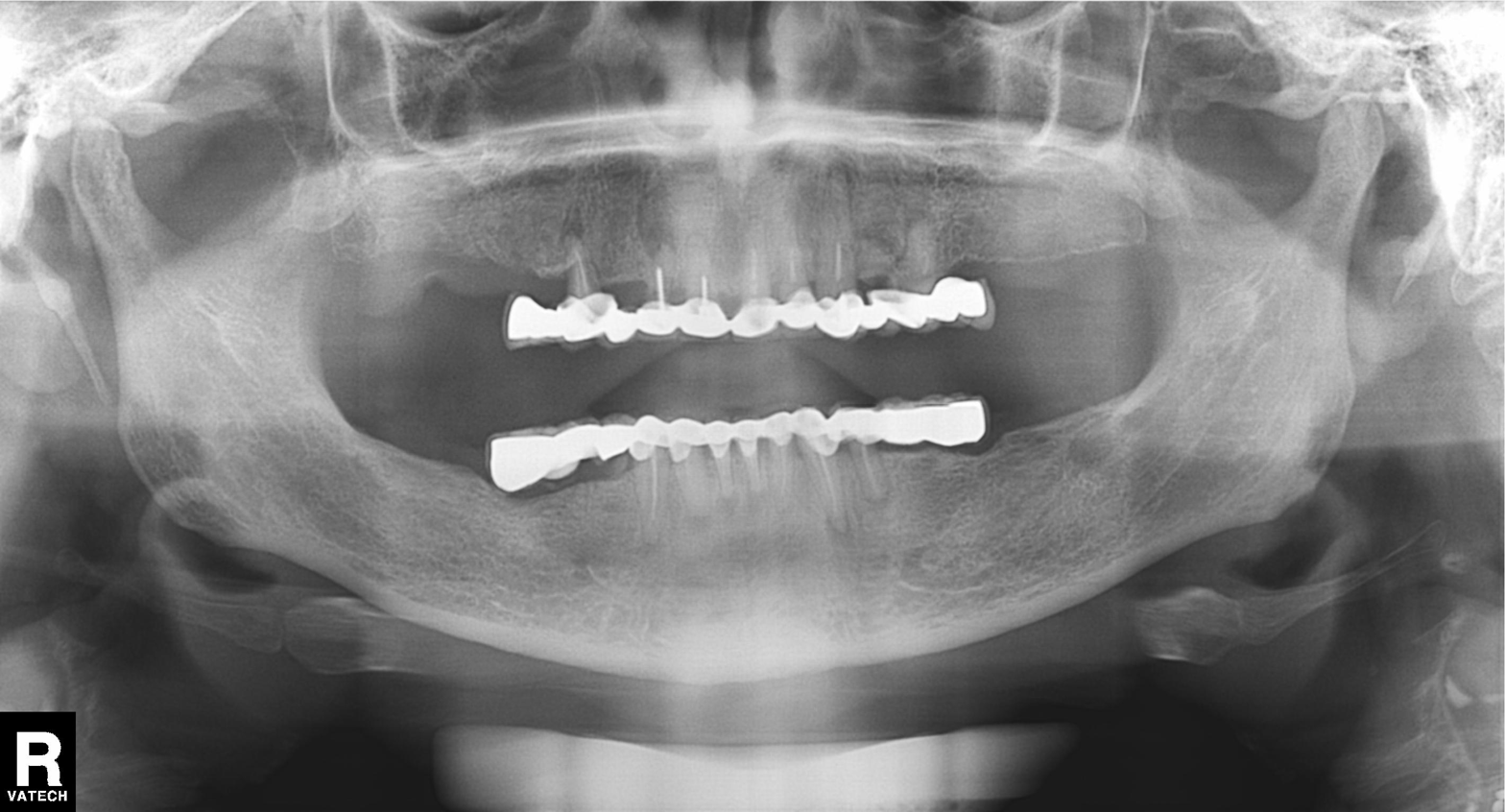
<record>
  <modality>panoramic dental radiograph (orthopantomogram)</modality>
  <finding>dental caries (cavities)</finding>
</record>